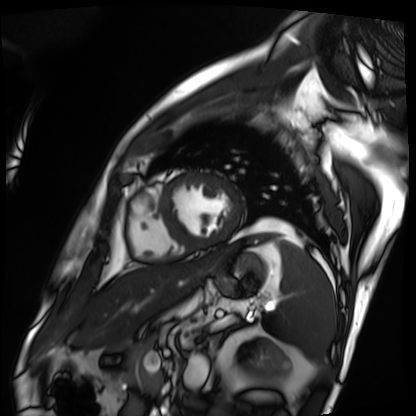
modality — cardiac MRI; subject group — patient.